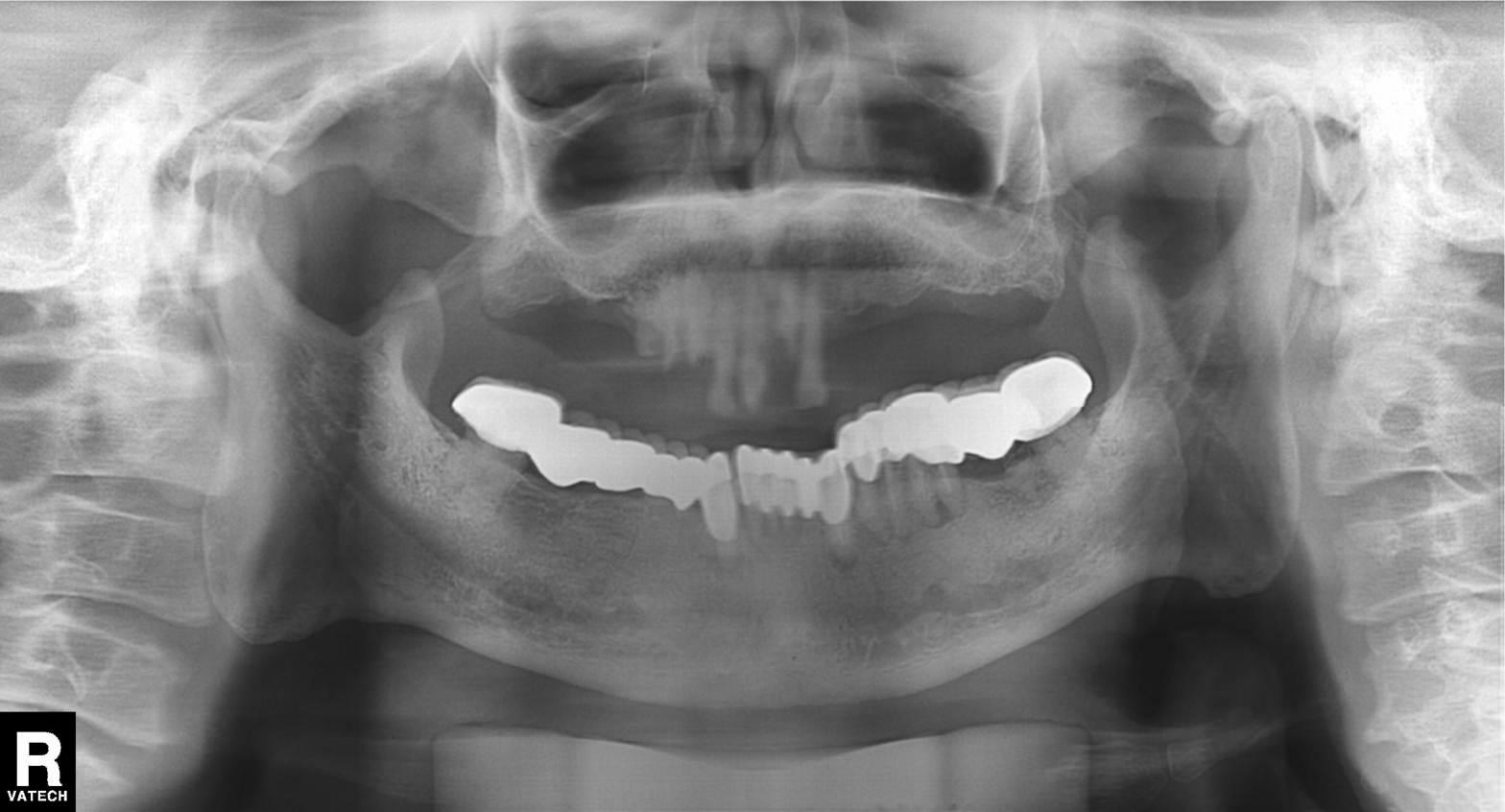
Summary: Panoramic dental radiograph (orthopantomogram).
Assessment: Dental caries (cavities).